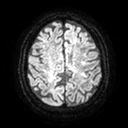
3 Tesla brain MRI. Series: diffusion tensor imaging (medium iso). Study: ring-enhancing brain masses.